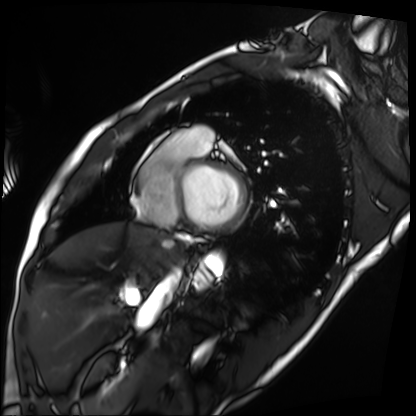
Clinical context:
Cardiac MRI. Subject group: patient.